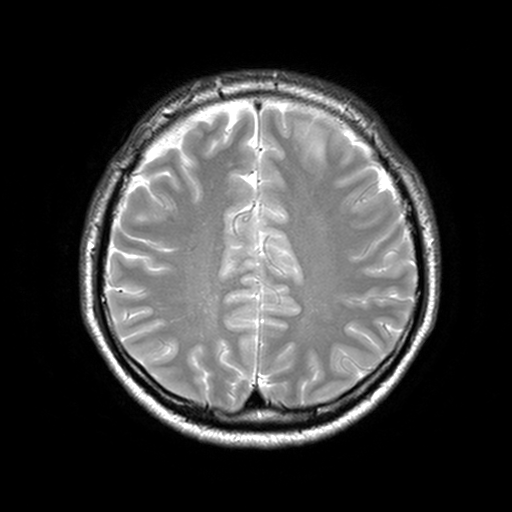
modality:
  type: brain MRI
  field_strength: 3T
series: T2-weighted turbo spin echo, 3 mm
study_topic: ring-enhancing brain masses